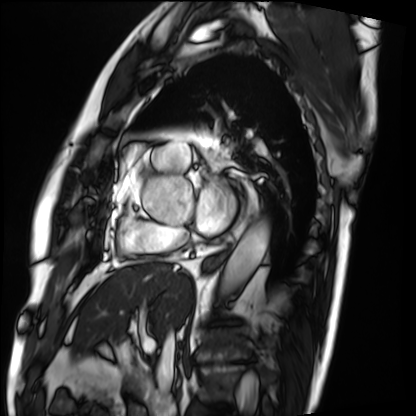
{"modality": "cardiac MRI", "cohort": "patient"}